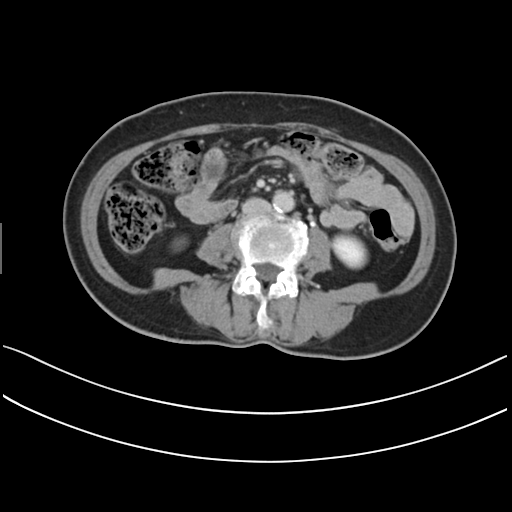
<study>
  <modality>
    <type>multiphase abdominal CT</type>
    <region>liver</region>
    <phase>delayed</phase>
  </modality>
  <patient>
    <sex>female</sex>
    <age>61</age>
  </patient>
</study>